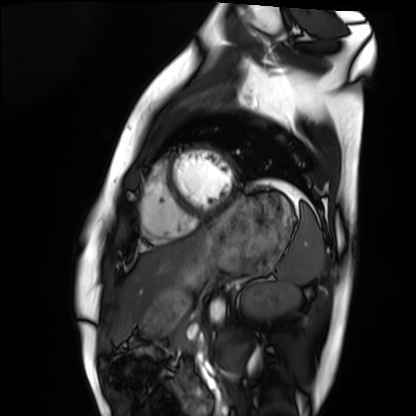
{"modality": "cardiac MRI", "cohort": "healthy volunteer"}